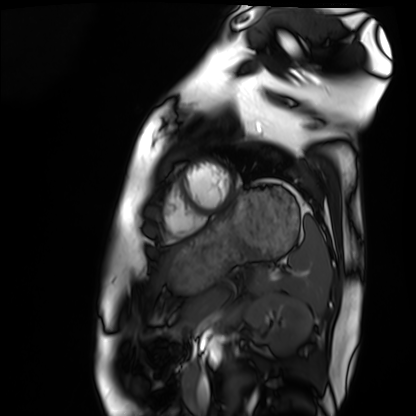
Case summary: Cardiac MRI. Subject group: healthy volunteer.